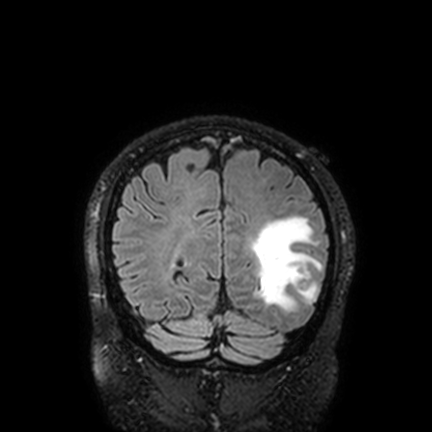
Case summary: 3 Tesla brain MRI. Series: FLAIR VISTA with SENSE. Study: ring-enhancing brain masses.